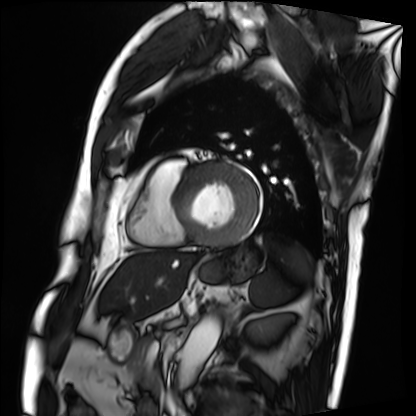
Cardiac MRI. Subject group: patient.